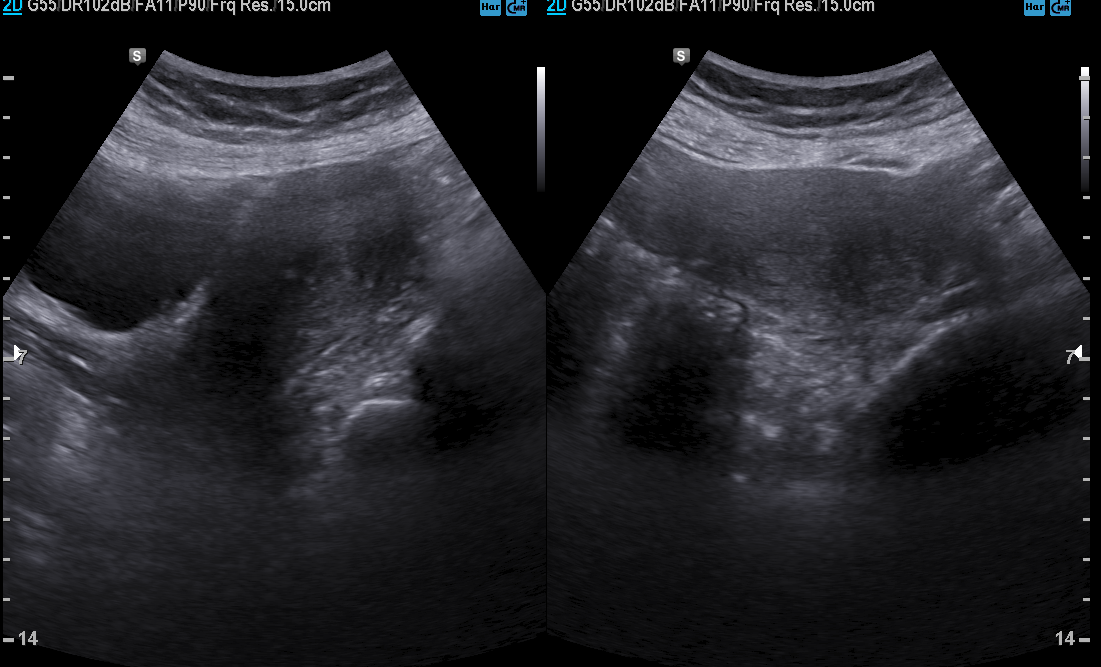
modality: genitourinary ultrasound